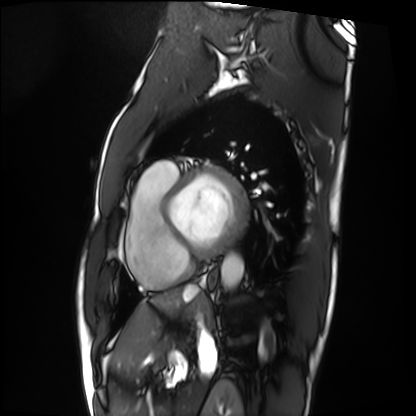
Summary: Cardiac MRI. Subject group: patient.